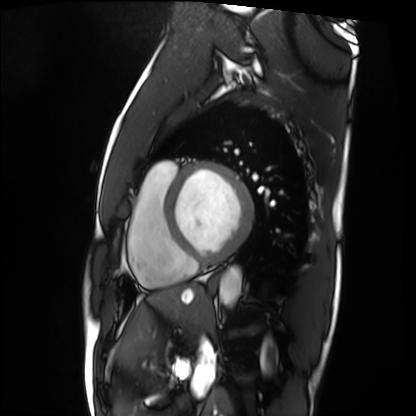
modality = cardiac MRI; subject group = patient.